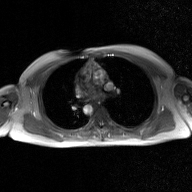
• modality · 2D phase-contrast cine MRI of the ascending aorta, GAN super-resolution reconstruction